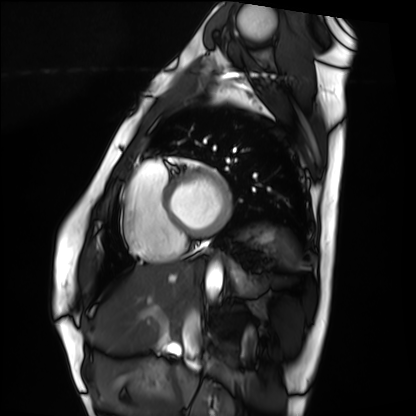
Summary: Cardiac MRI. Subject group: healthy volunteer.